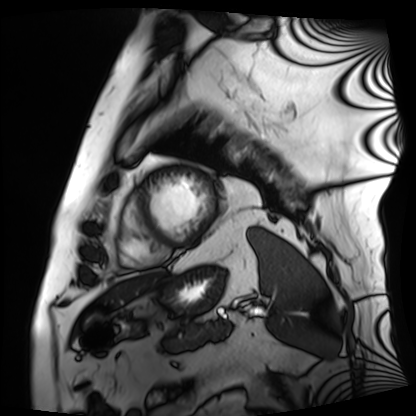
Q: What kind of scan is this?
A: Cardiac MRI.
Subject group: patient.